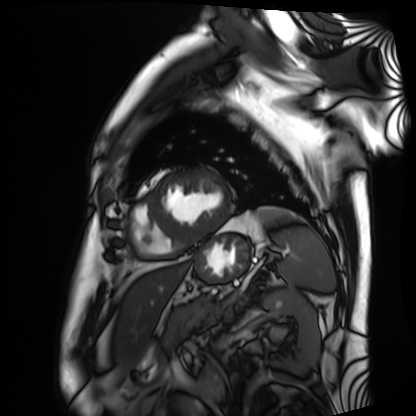
modality: cardiac MRI; subject group: patient.